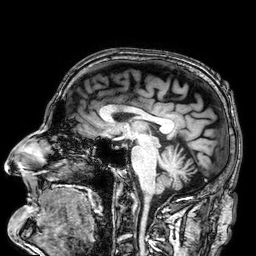
| field | value |
|---|---|
| modality | 3 Tesla brain MRI |
| study | ring-enhancing brain masses |